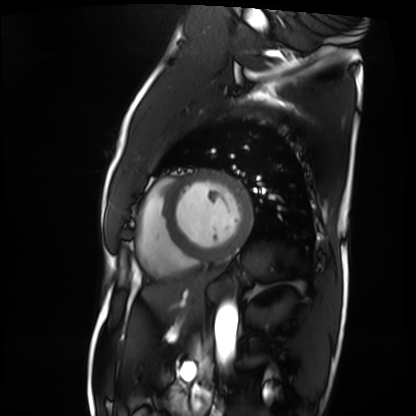
modality = cardiac MRI
subject group = patient